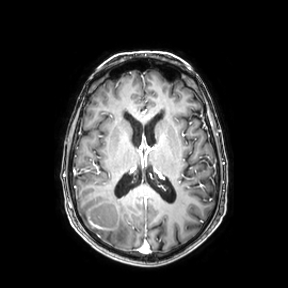
3 Tesla brain MRI. Series: axial. Study: ring-enhancing brain masses.